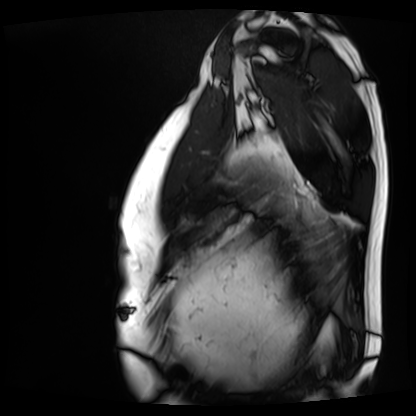
modality: cardiac MRI | subject group: patient.